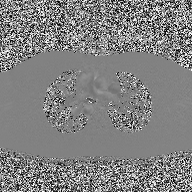
2D phase-contrast cine MRI of the ascending aorta, high-resolution GRAPPA acquisition.